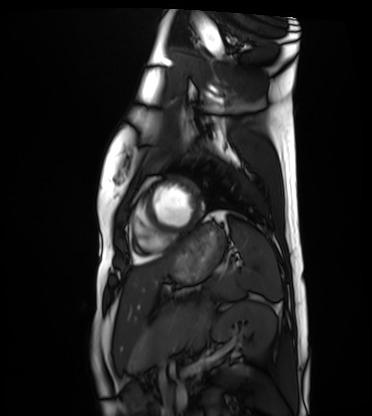
– modality · cardiac MRI
– subject group · healthy volunteer